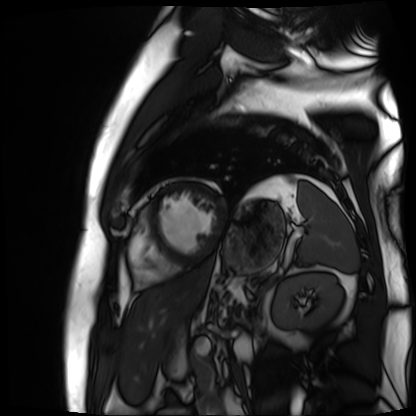
{
  "modality": "cardiac MR image of the myocardium",
  "cohort": "cardiac patient"
}